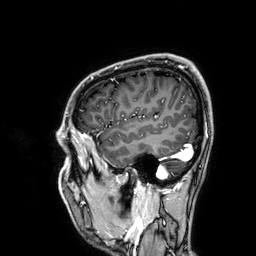
3 Tesla brain MRI. Series: 3D T1-weighted. Study: ring-enhancing brain masses.